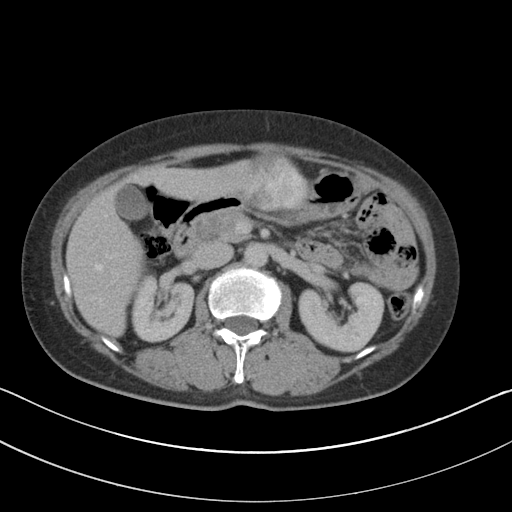
Multiphase abdominal CT, liver, portal venous phase. Patient: female, age 56.